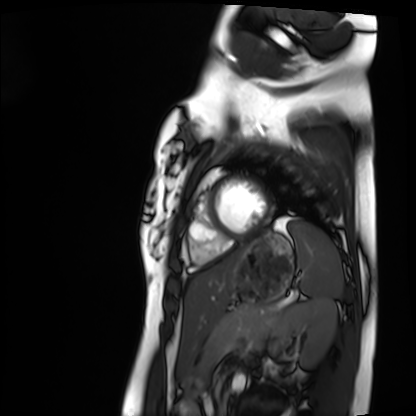
modality = cardiac MRI; subject group = healthy volunteer.